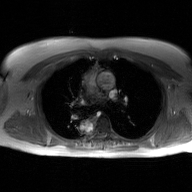
Summary:
2D phase-contrast cine MRI of the ascending aorta, GAN super-resolution reconstruction.